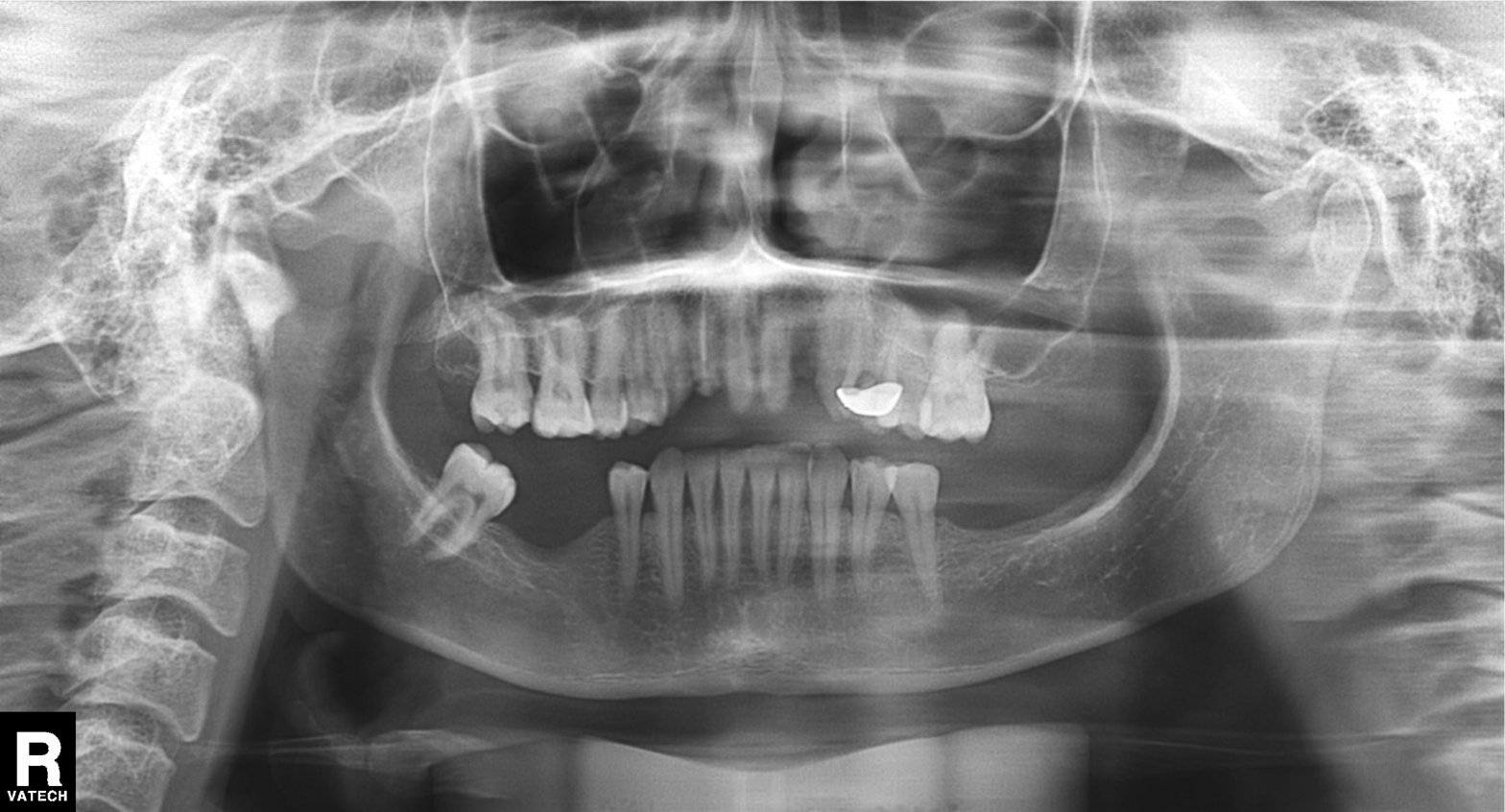
Q: What kind of scan is this?
A: Panoramic dental radiograph (orthopantomogram).
Q: What is the radiographic finding?
A: Alveolar bone loss.